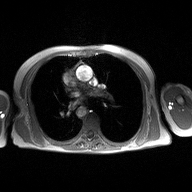
<case>
<modality>
  <type>2D phase-contrast cine MRI</type>
  <region>ascending aorta</region>
  <reconstruction>high-resolution GRAPPA acquisition</reconstruction>
</modality>
</case>